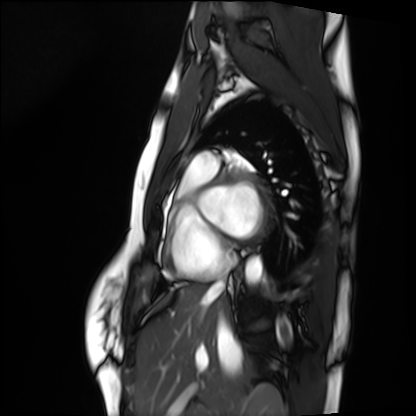
Clinical context: Cardiac MRI. Subject group: healthy volunteer.